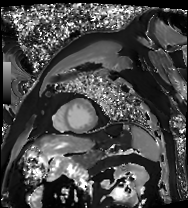
<case>
<modality>cardiac MRI</modality>
<cohort>patient</cohort>
</case>